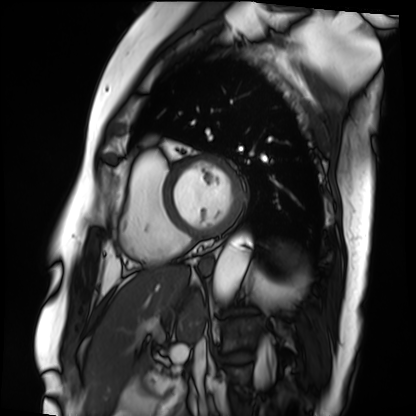
Case summary: Cardiac MRI. Subject group: patient.